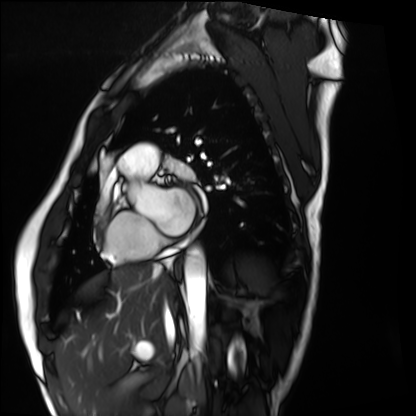
Q: What kind of scan is this?
A: Cardiac MRI.
Subject group: healthy volunteer.